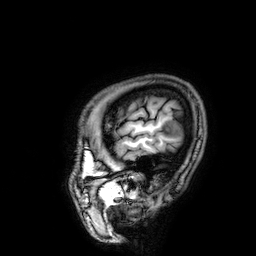
modality: 3 Tesla brain MRI
series: 3D T1-weighted
study: ring-enhancing brain masses